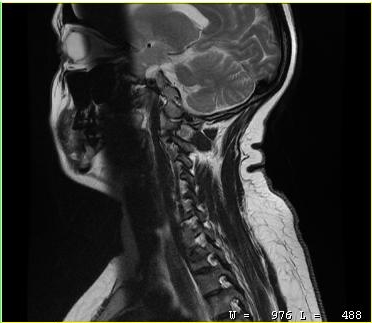
MRI of the cervical spine. Study: cervical spondylosis.